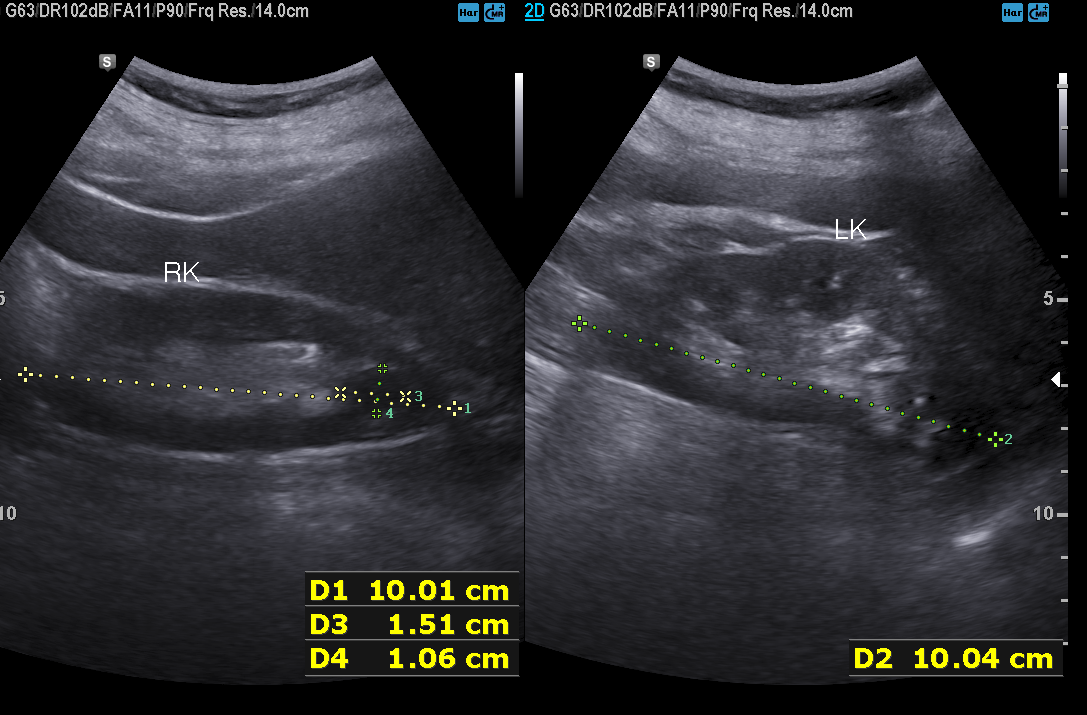
modality: genitourinary ultrasound.